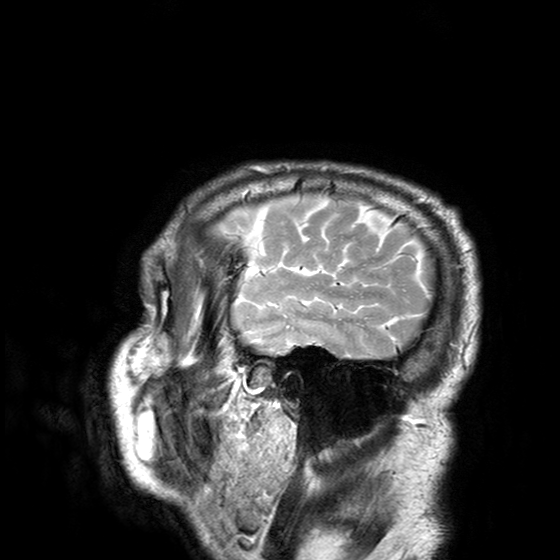
* modality: 3 Tesla brain MRI
* series: T2-weighted turbo spin echo with SENSE
* study: ring-enhancing brain masses